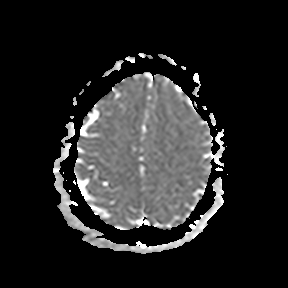
Q: What kind of scan is this?
A: 3 Tesla brain MRI.
Q: Series?
A: Apparent diffusion coefficient (ADC) map.
Study: ring-enhancing brain masses.